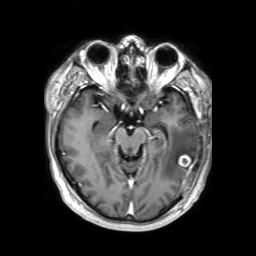
3 Tesla brain MRI. Series: 3D T1-weighted TFE with SENSE. Study: ring-enhancing brain masses.